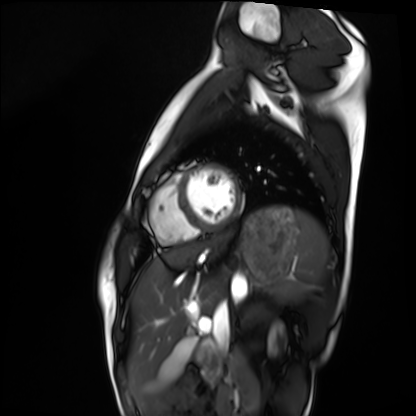
• modality: cardiac MRI
• subject group: healthy volunteer